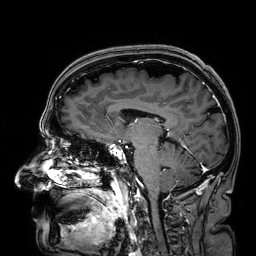
3 Tesla brain MRI. Series: 3D T1-weighted. Study: ring-enhancing brain masses.